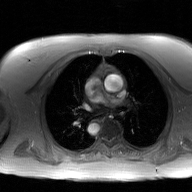
| field | value |
|---|---|
| modality | 2D phase-contrast cine MRI of the ascending aorta, GAN super-resolution reconstruction |